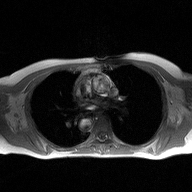
2D phase-contrast cine MRI of the ascending aorta, high-resolution GRAPPA acquisition.